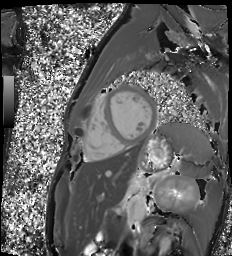
Case summary:
Cardiac MR image of the myocardium. Subject cohort: healthy volunteer.